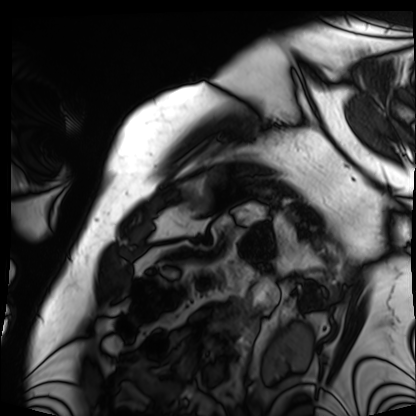
Cardiac MRI.
Subject group: patient.